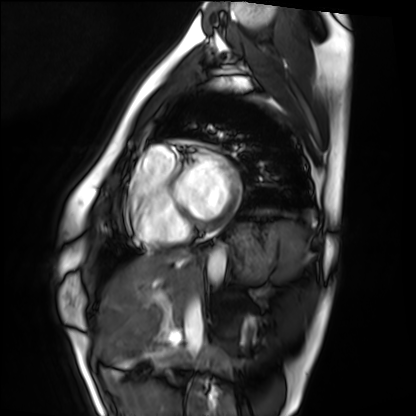
Cardiac MRI.
Subject group: healthy volunteer.